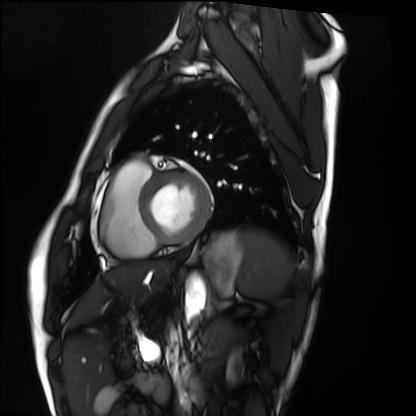
modality: cardiac MRI
cohort: healthy volunteer